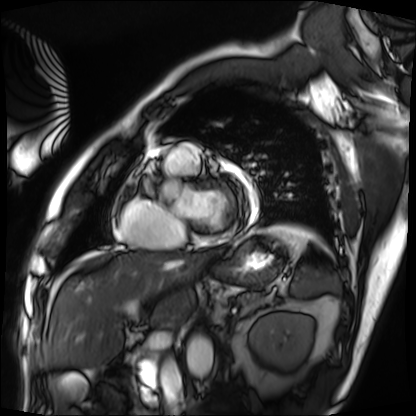
Summary:
Cardiac MRI. Subject group: patient.